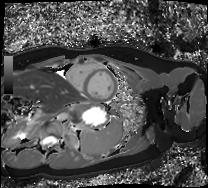
• modality: cardiac MRI
• subject group: healthy volunteer